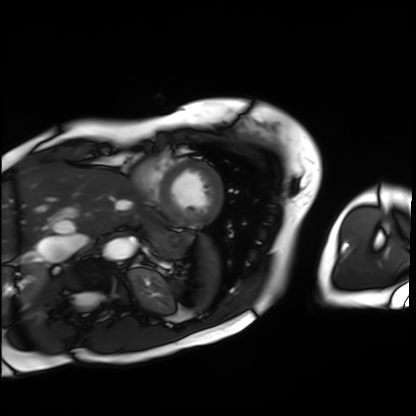
modality — cardiac MRI | subject group — patient.